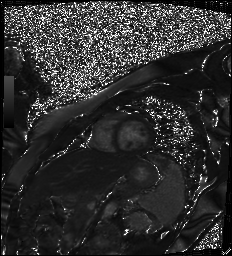
<case>
  <modality>cardiac MR image of the myocardium</modality>
  <cohort>healthy volunteer</cohort>
</case>